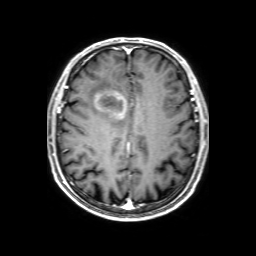
Q: What kind of scan is this?
A: 3 Tesla brain MRI.
Q: Series?
A: 3D T1-weighted with SENSE.
Study: ring-enhancing brain masses.